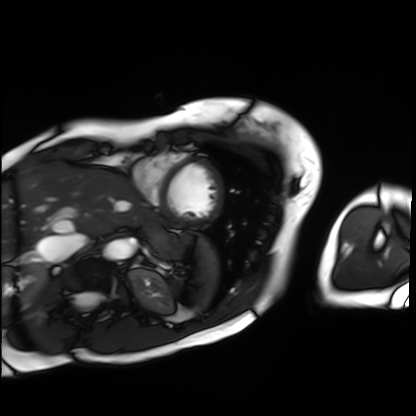
modality: cardiac MRI
cohort: patient